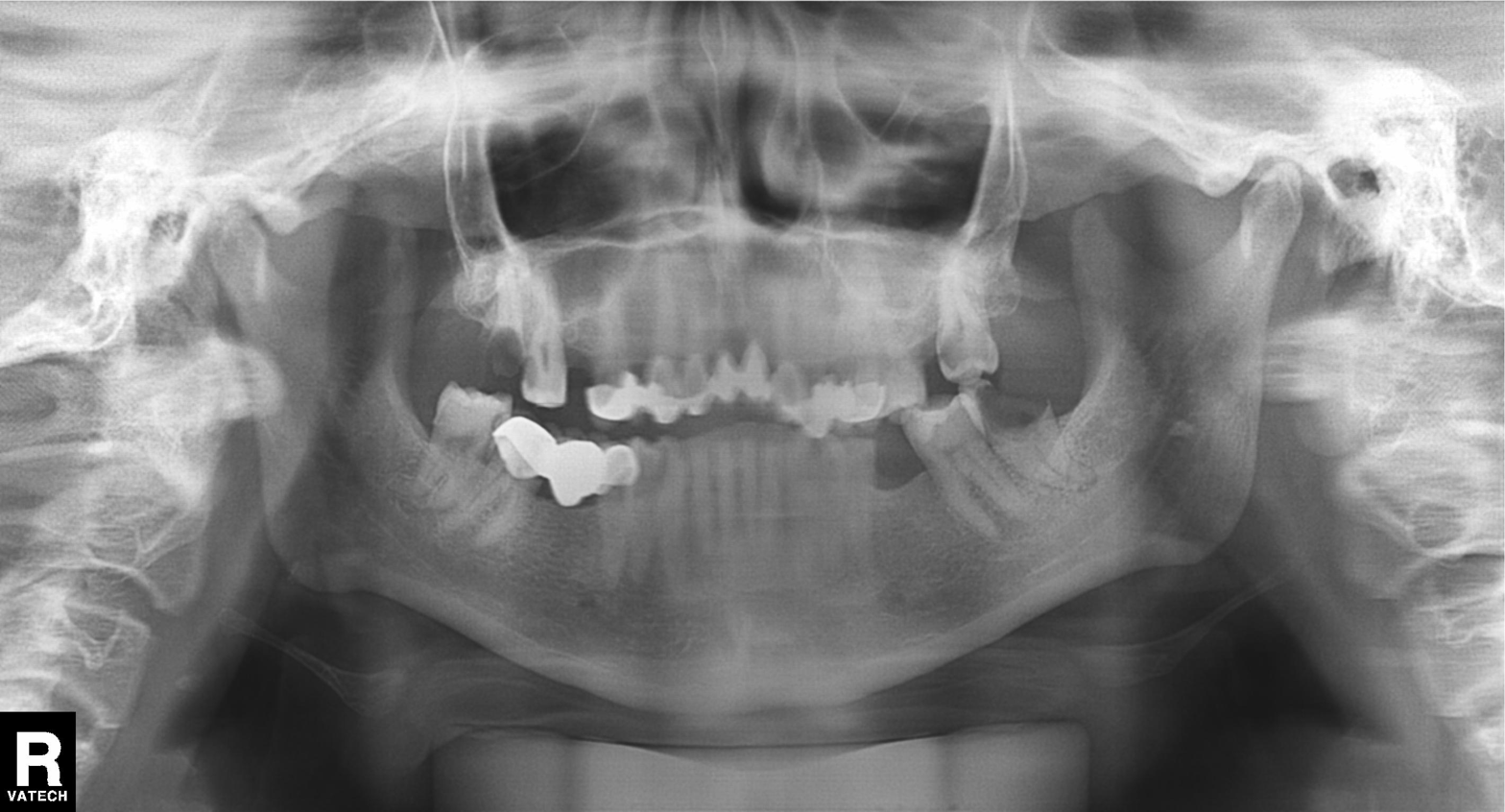
- modality · panoramic dental radiograph (orthopantomogram)
- finding · dental caries (cavities)